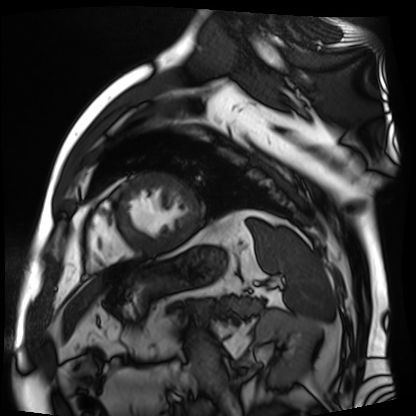
Cardiac MR image of the myocardium.
Subject cohort: cardiac patient.